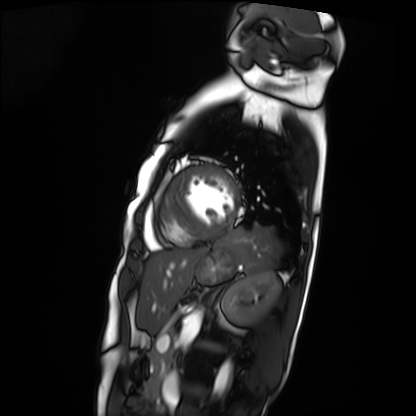
modality = cardiac MRI, subject group = patient.